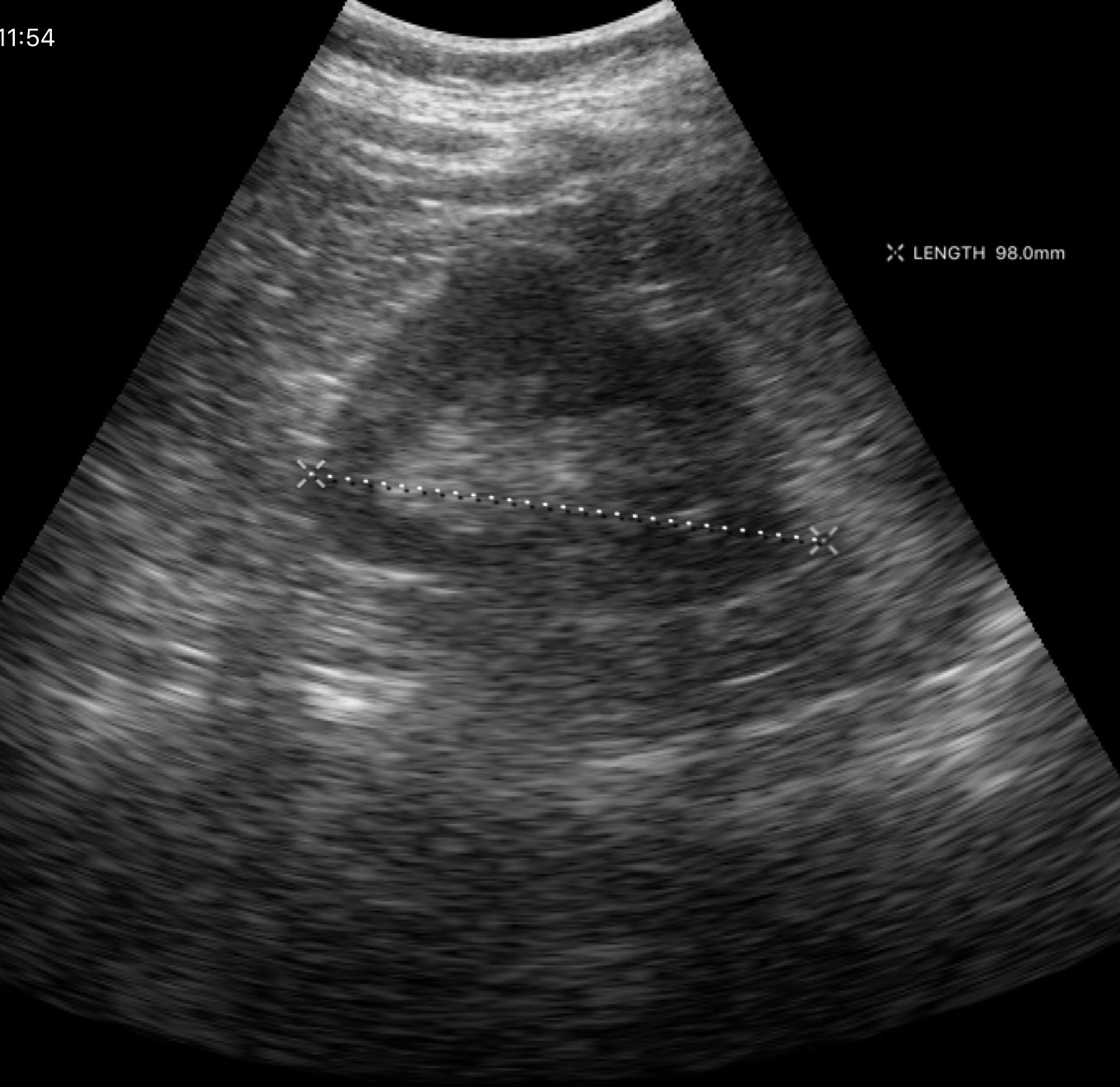
Genitourinary ultrasound.